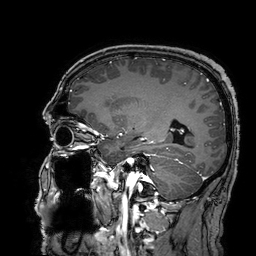
3 Tesla brain MRI. Series: 3D T1-weighted turbo field echo with SENSE. Study: ring-enhancing brain masses.